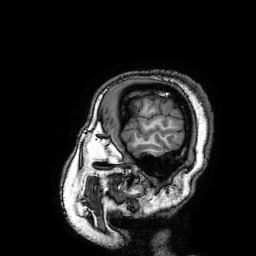
Clinical context:
3 Tesla brain MRI. Series: 3D T1-weighted turbo field echo with SENSE. Study: ring-enhancing brain masses.